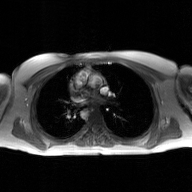
2D phase-contrast cine MRI of the ascending aorta, GAN super-resolution reconstruction.